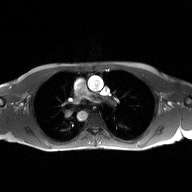
2D phase-contrast cine MRI of the ascending aorta, high-resolution GRAPPA acquisition.